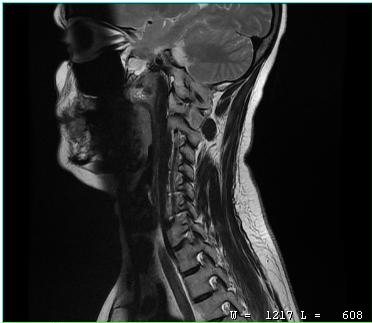
MRI of the cervical spine.
Study: cervical spondylosis.